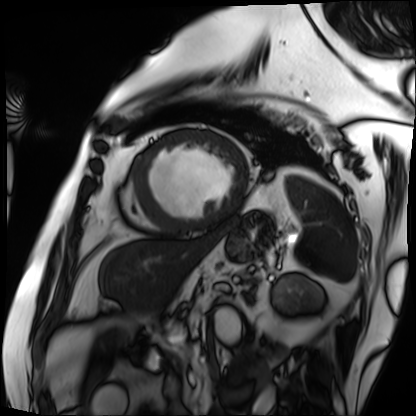
modality = cardiac MRI, subject group = patient.